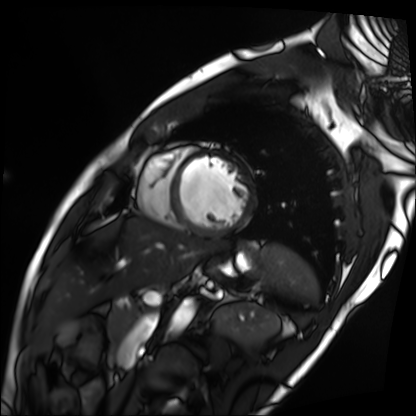
Cardiac MRI. Subject group: patient.